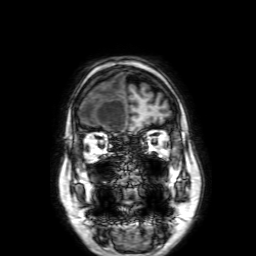
modality:
  type: brain MRI
  field_strength: 3T
series: 3D T1-weighted with SENSE
study_topic: ring-enhancing brain masses